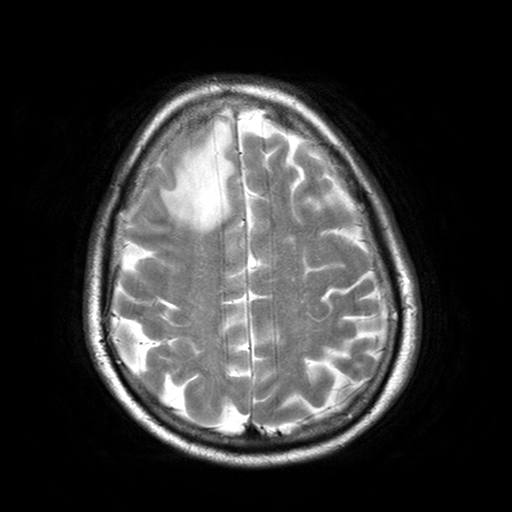
– modality: 3 Tesla brain MRI
– series: T2-weighted turbo spin echo with SENSE
– study: ring-enhancing brain masses